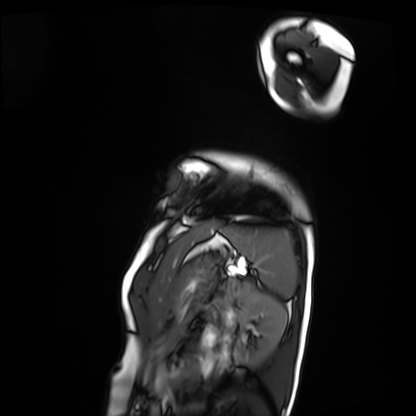
{
  "modality": "cardiac MRI",
  "cohort": "patient"
}